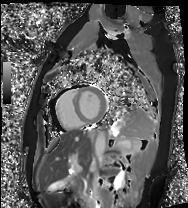
Cardiac MRI. Subject group: healthy volunteer.